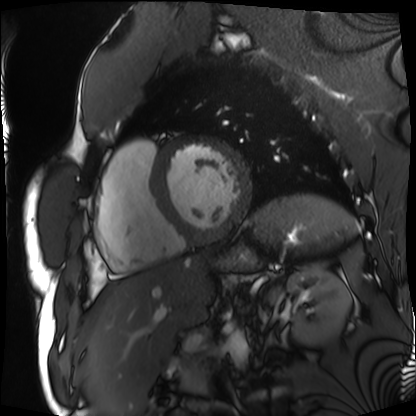
<case>
<modality>cardiac MRI</modality>
<cohort>patient</cohort>
</case>